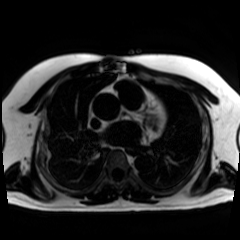
Q: What kind of scan is this?
A: Chemical-shift-encoded cardiac MRI.